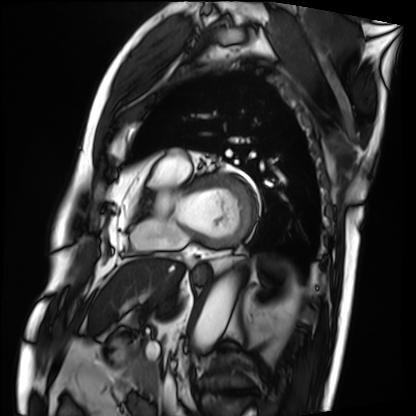
Cardiac MRI. Subject group: patient.